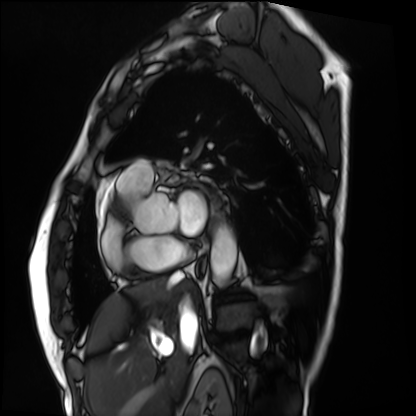
Cardiac MRI. Subject group: patient.